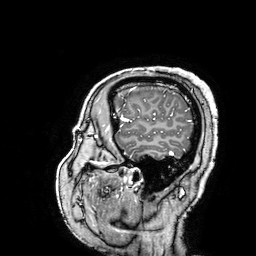
3 Tesla brain MRI. Series: 3D T1-weighted turbo field echo with SENSE. Study: ring-enhancing brain masses.